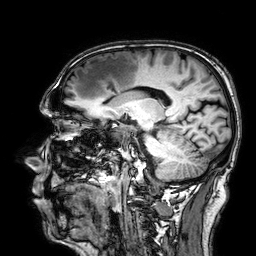
3 Tesla brain MRI. Series: 3D T1-weighted. Study: ring-enhancing brain masses.